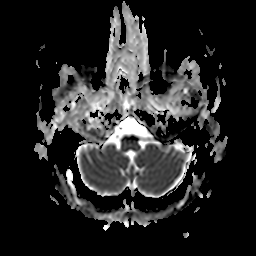
3 Tesla brain MRI. Series: apparent diffusion coefficient (ADC) map. Study: ring-enhancing brain masses.